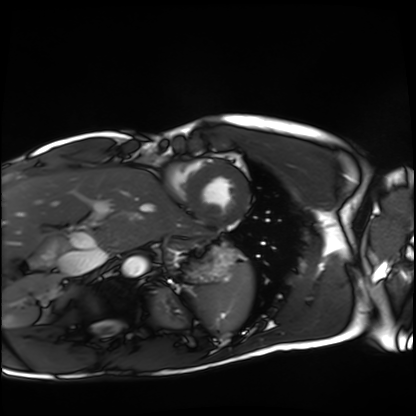
Q: What kind of scan is this?
A: Cardiac MRI.
Subject group: healthy volunteer.